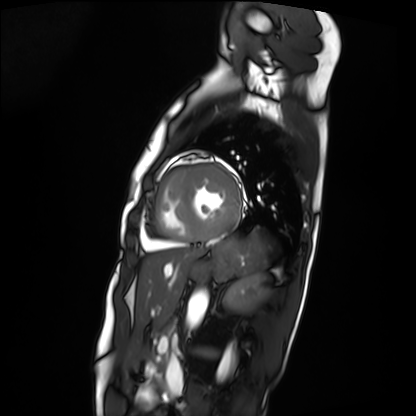
Case summary:
Cardiac MRI. Subject group: patient.